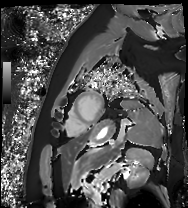
Clinical context: Cardiac MRI. Subject group: patient.